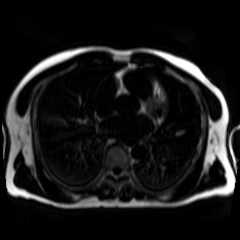
Chemical-shift-encoded cardiac MRI.